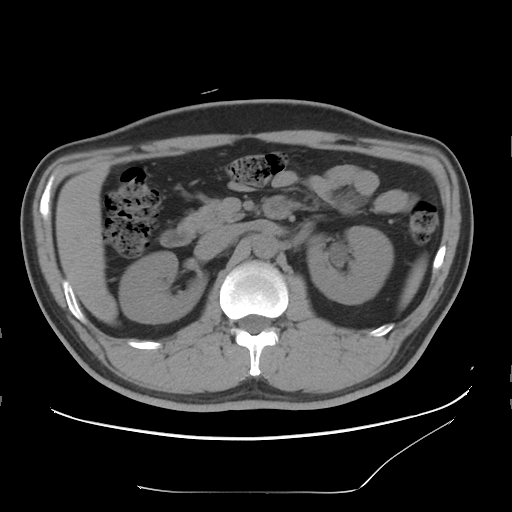
Clinical context: Multiphase abdominal CT, liver, non-contrast phase. Patient: male, age 37.